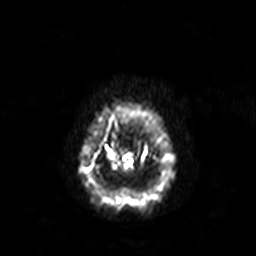
  modality:
    type: brain MRI
    field_strength: 3T
  study_topic: ring-enhancing brain masses